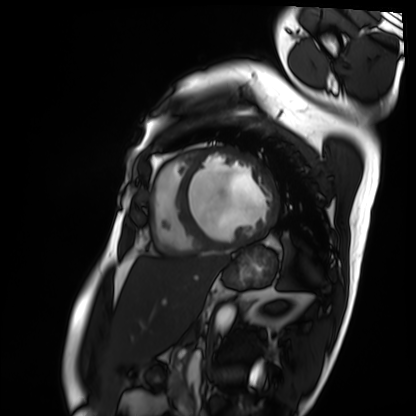
Cardiac MRI.
Subject group: patient.